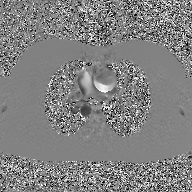
Clinical context:
2D phase-contrast cine MRI of the ascending aorta, GAN super-resolution reconstruction.